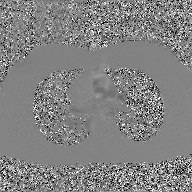
<case>
<modality>
  <type>2D phase-contrast cine MRI</type>
  <region>ascending aorta</region>
  <reconstruction>GAN super-resolution reconstruction</reconstruction>
</modality>
</case>